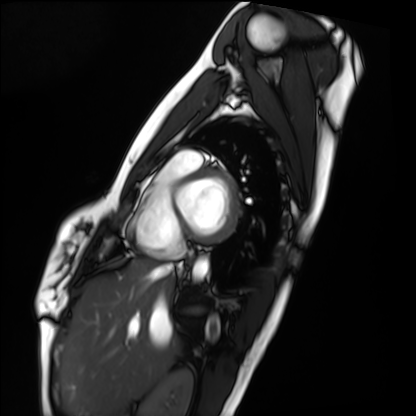
Cardiac MRI. Subject group: healthy volunteer.